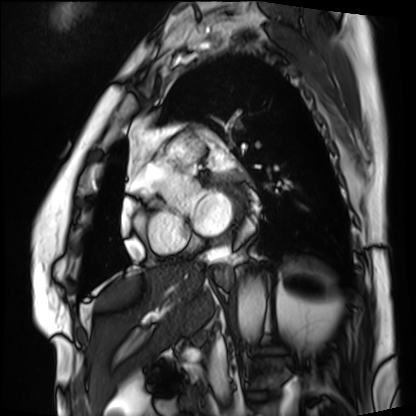
Case summary:
Cardiac MRI. Subject group: patient.